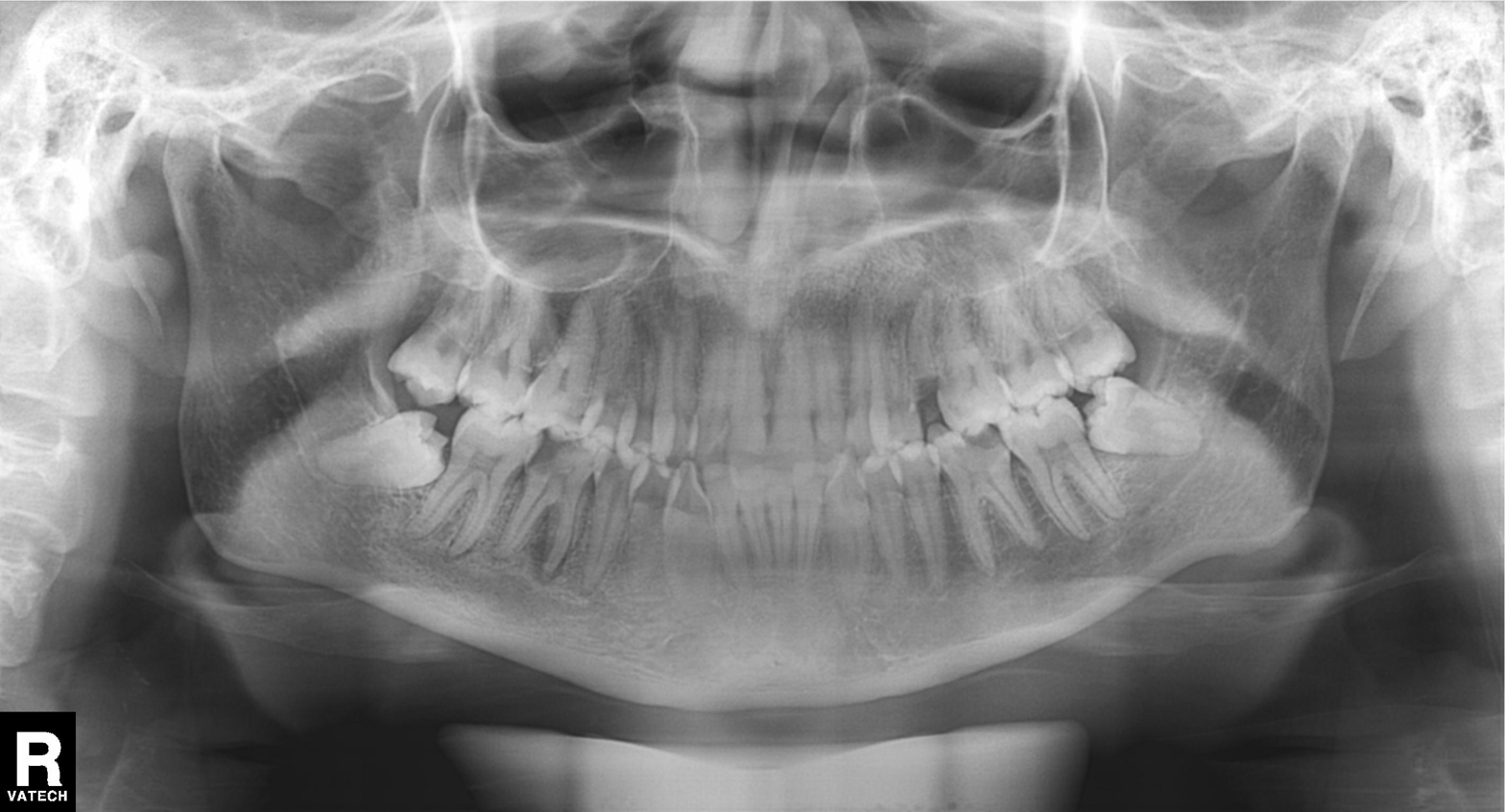
Case summary: Panoramic dental radiograph (orthopantomogram).
Conclusion: Tooth impaction.